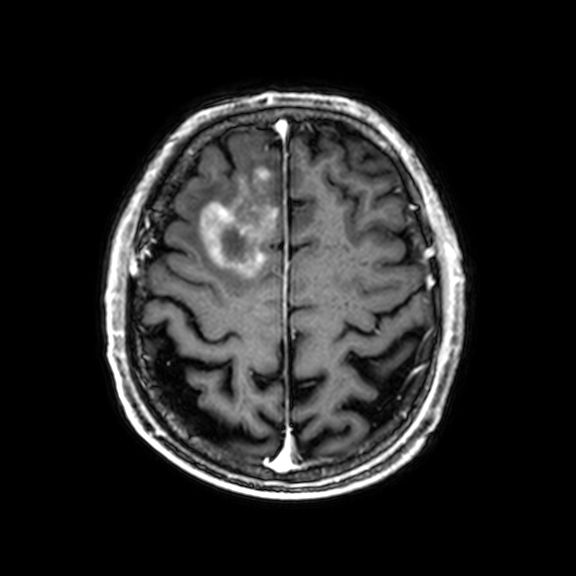
| field | value |
|---|---|
| modality | 3 Tesla brain MRI |
| series | 3D T1-weighted with CLEAR |
| study | ring-enhancing brain masses |